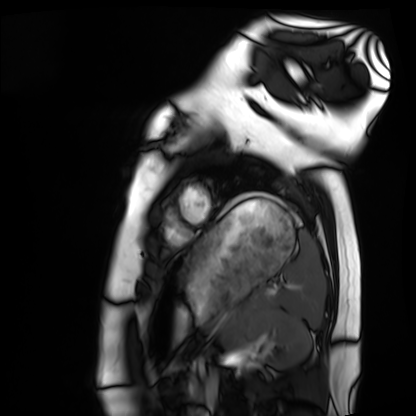
Cardiac MRI.
Subject group: healthy volunteer.